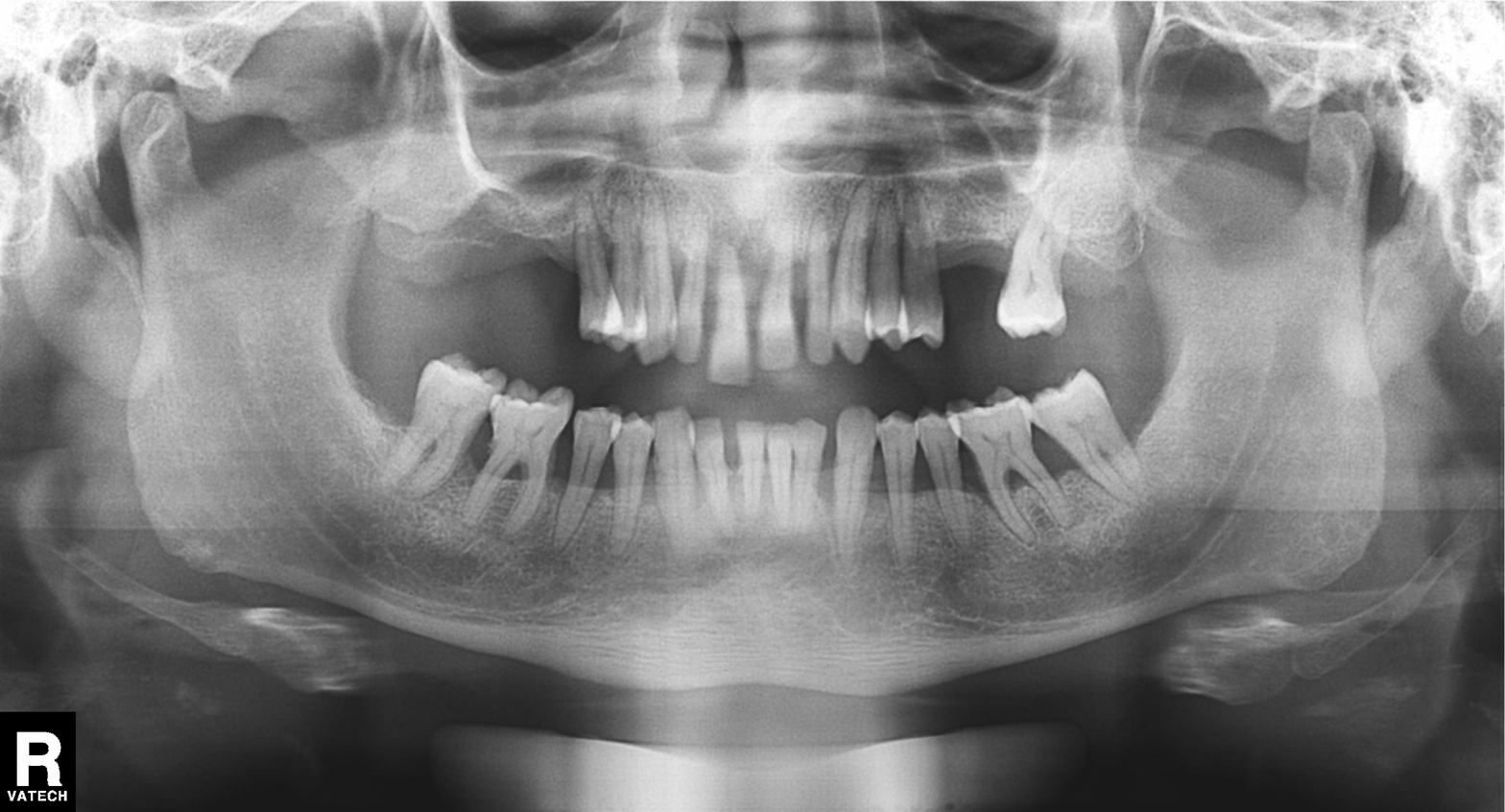
Panoramic dental radiograph (orthopantomogram). Finding: tooth impaction.